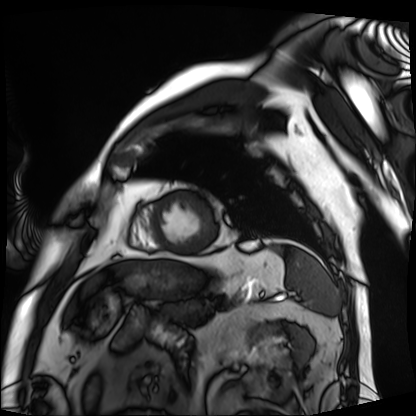
Cardiac MRI. Subject group: patient.